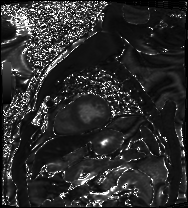
modality: cardiac MRI; subject group: patient.